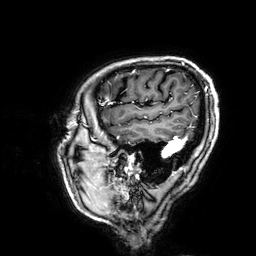
3 Tesla brain MRI. Series: 3D T1-weighted. Study: ring-enhancing brain masses.